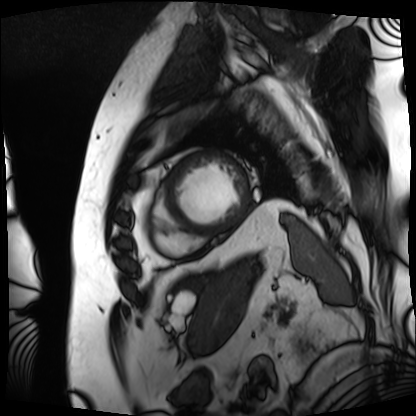
Cardiac MRI. Subject group: patient.